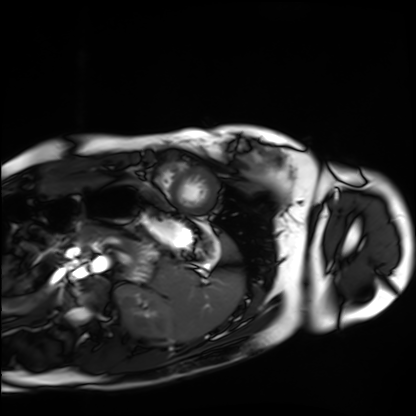
Case summary:
Cardiac MRI. Subject group: healthy volunteer.